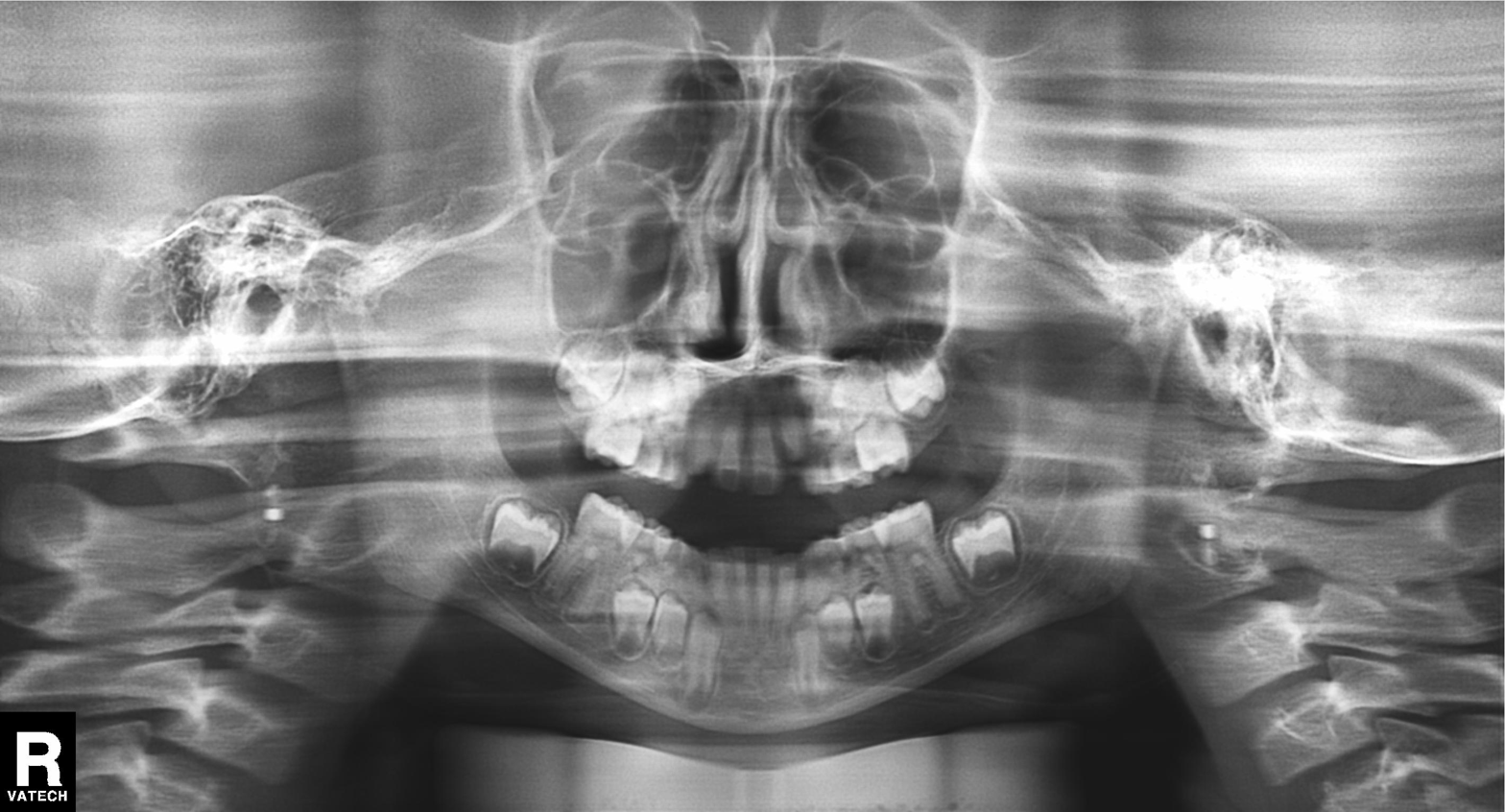
<record>
  <modality>panoramic dental radiograph (orthopantomogram)</modality>
  <finding>alveolar bone loss</finding>
</record>